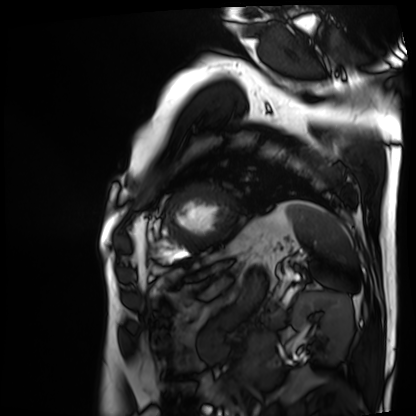
Summary:
Cardiac MRI. Subject group: patient.